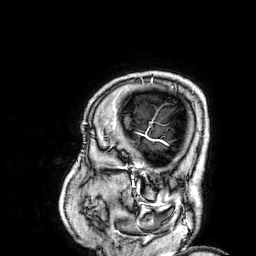
3 Tesla brain MRI. Study: ring-enhancing brain masses.